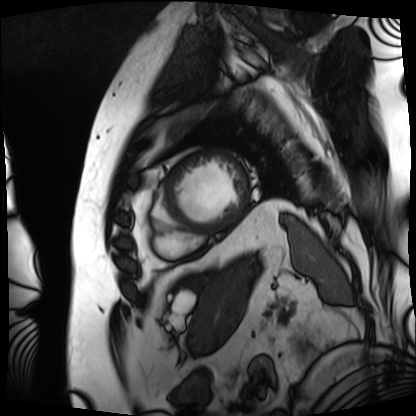
Case summary: Cardiac MRI. Subject group: patient.